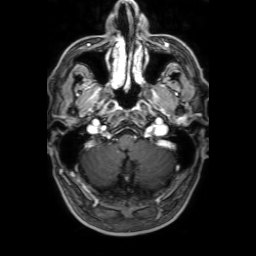
Q: What kind of scan is this?
A: 3 Tesla brain MRI.
Q: Series?
A: 3D T1-weighted with SENSE.
Study: ring-enhancing brain masses.